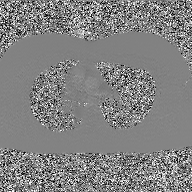
2D phase-contrast cine MRI of the ascending aorta, GAN super-resolution reconstruction.